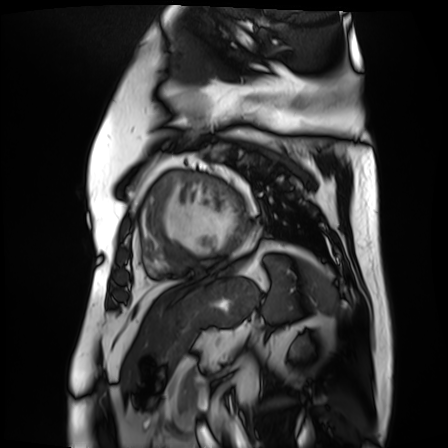
Cardiac MR image of the myocardium. Subject cohort: cardiac patient.